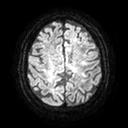
<study>
  <modality>
    <type>brain MRI</type>
    <field_strength>3T</field_strength>
  </modality>
  <series>diffusion tensor imaging (medium iso)</series>
  <study_topic>ring-enhancing brain masses</study_topic>
</study>